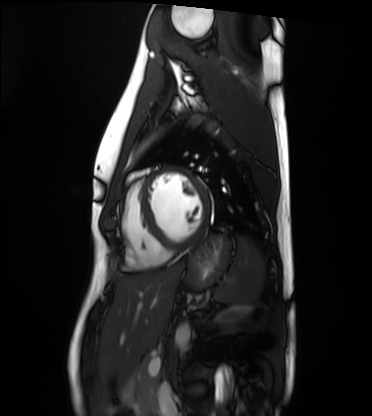
Cardiac MRI.
Subject group: healthy volunteer.